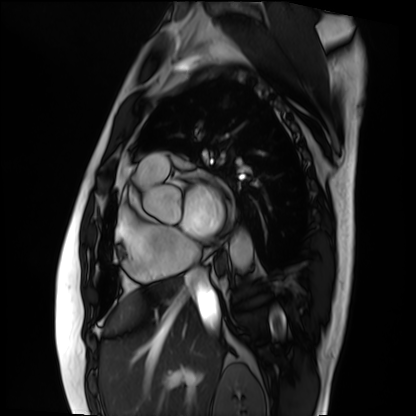
{"modality": "cardiac MRI", "cohort": "patient"}